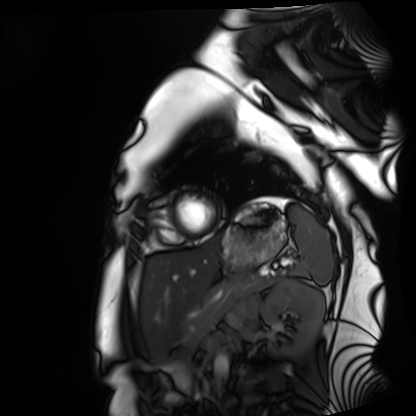
modality — cardiac MRI | subject group — healthy volunteer.